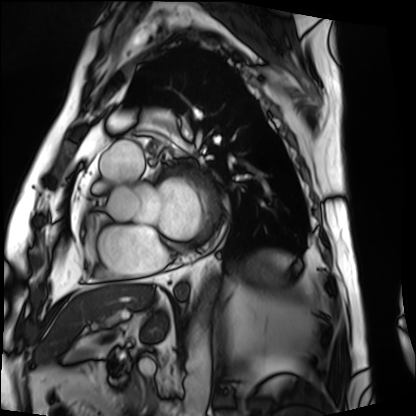
Clinical context:
Cardiac MRI. Subject group: patient.